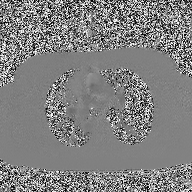
Clinical context:
2D phase-contrast cine MRI of the ascending aorta, high-resolution GRAPPA acquisition.